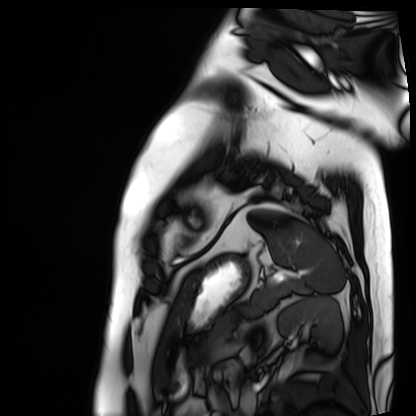
Summary: Cardiac MRI. Subject group: patient.